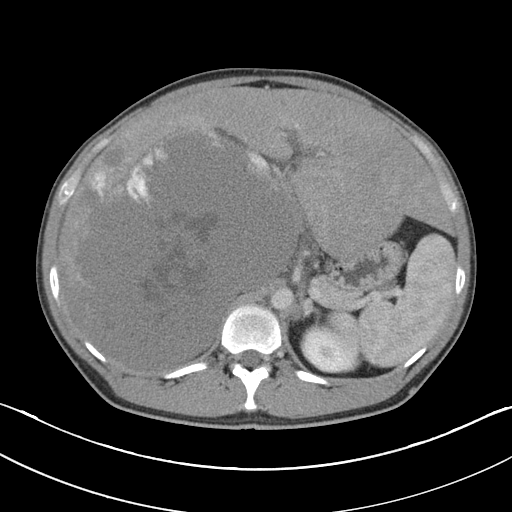
modality = multiphase abdominal CT, liver, portal venous phase; patient = male, age 45.